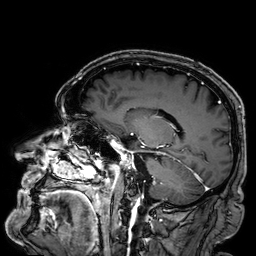
| field | value |
|---|---|
| modality | 3 Tesla brain MRI |
| series | 3D T1-weighted |
| study | ring-enhancing brain masses |